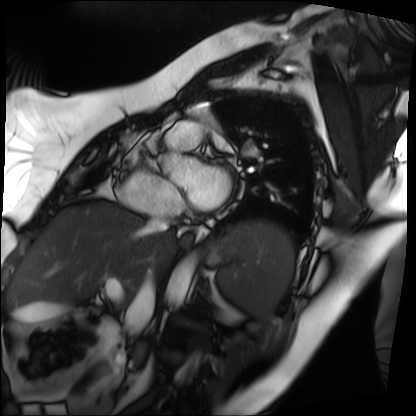
Case summary:
Cardiac MRI. Subject group: patient.